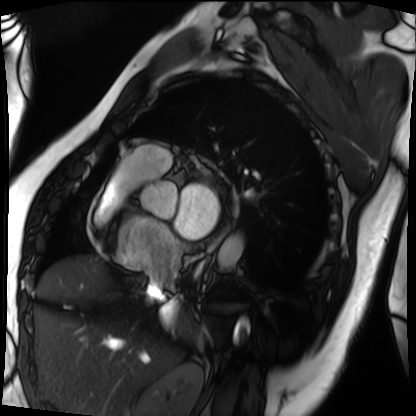
Cardiac MRI. Subject group: patient.